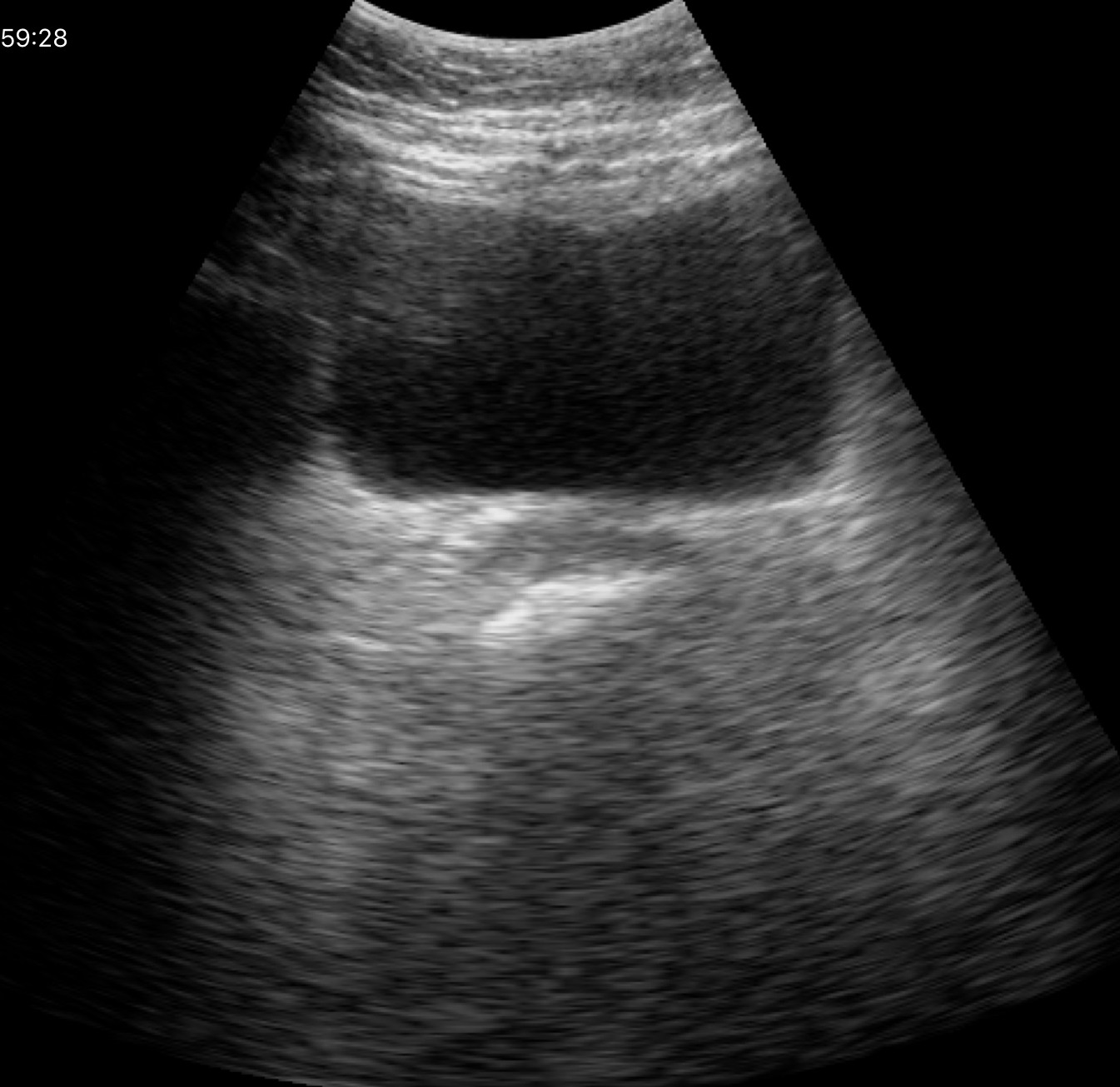
modality = genitourinary ultrasound.